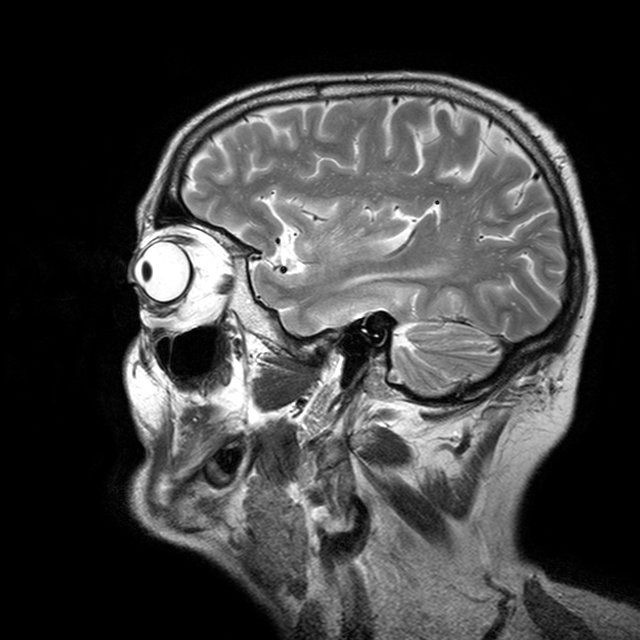
Q: What kind of scan is this?
A: 3 Tesla brain MRI.
Q: Series?
A: T2-weighted turbo spin echo with CLEAR.
Study: ring-enhancing brain masses.